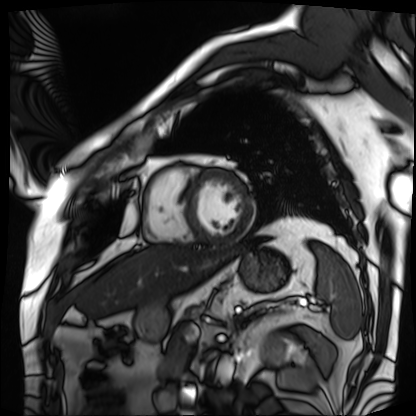
Cardiac MRI.
Subject group: patient.